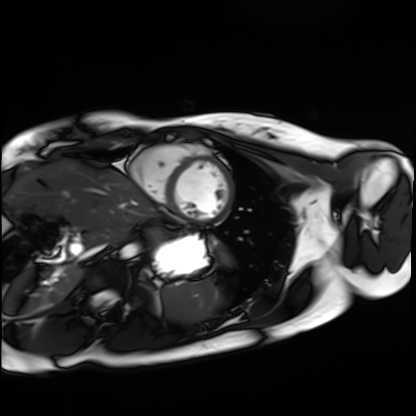
modality: cardiac MRI; subject group: healthy volunteer.